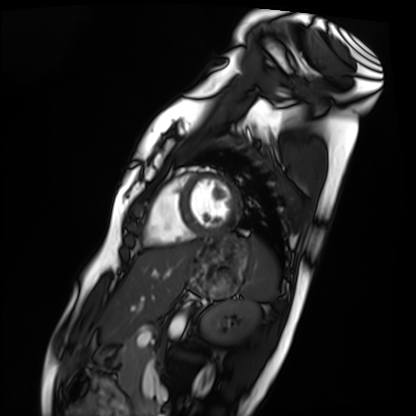
| field | value |
|---|---|
| modality | cardiac MRI |
| subject group | healthy volunteer |